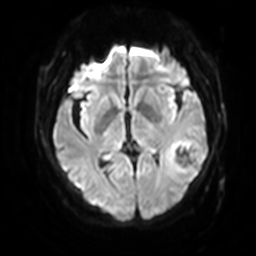
- modality · 3 Tesla brain MRI
- series · diffusion-weighted imaging with SENSE (WIP)
- study · ring-enhancing brain masses